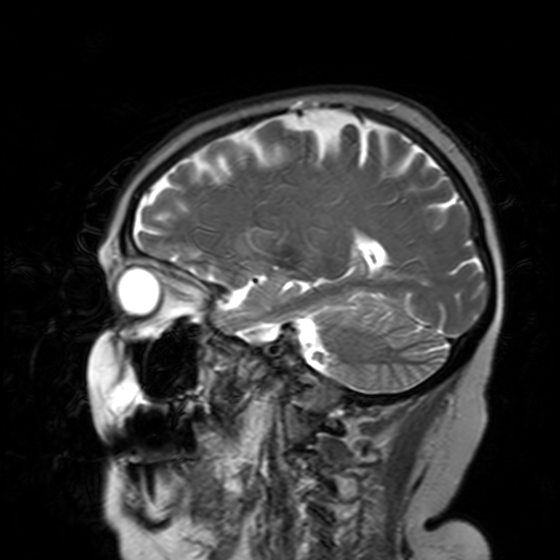
Q: What kind of scan is this?
A: 3 Tesla brain MRI.
Q: Series?
A: T2-weighted turbo spin echo with SENSE.
Study: ring-enhancing brain masses.